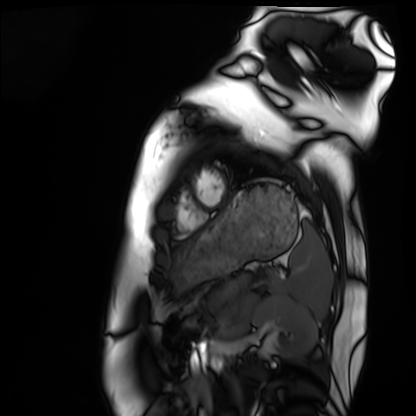
• modality: cardiac MRI
• subject group: healthy volunteer